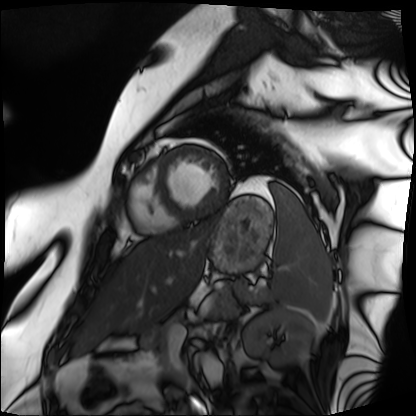
Cardiac MRI.
Subject group: patient.